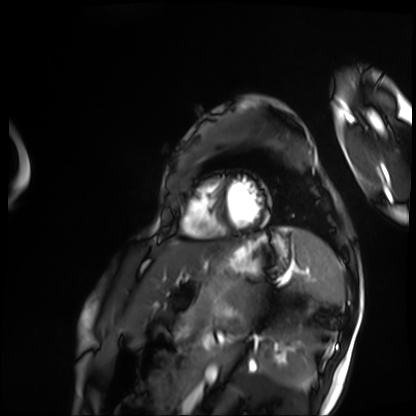
* modality: cardiac MRI
* subject group: patient